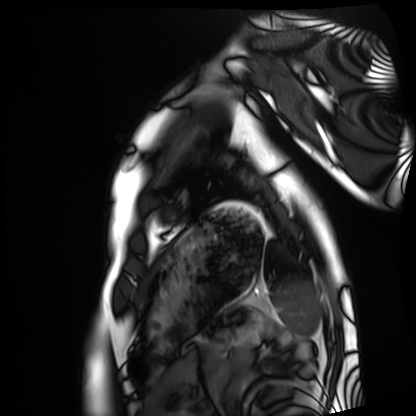
| field | value |
|---|---|
| modality | cardiac MRI |
| subject group | healthy volunteer |